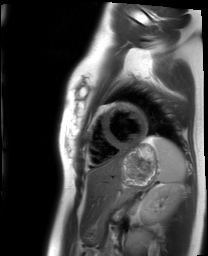
  modality: cardiac MRI
  cohort: healthy volunteer